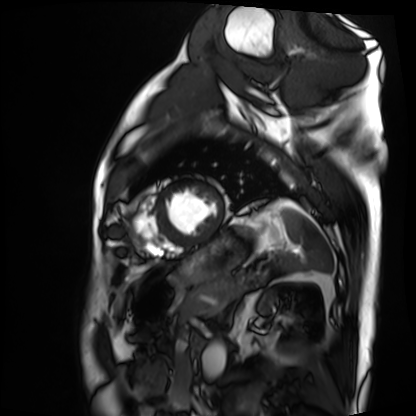
{
  "modality": "cardiac MRI",
  "cohort": "patient"
}